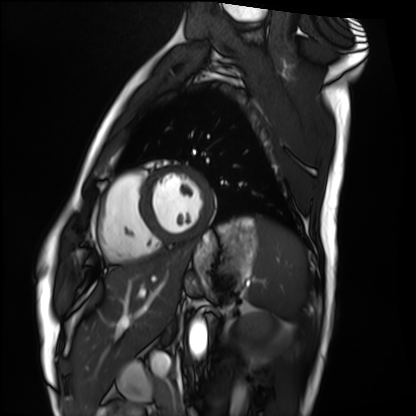
| field | value |
|---|---|
| modality | cardiac MRI |
| subject group | healthy volunteer |